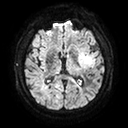
Summary: 3 Tesla brain MRI. Series: diffusion tensor imaging (medium iso). Study: ring-enhancing brain masses.